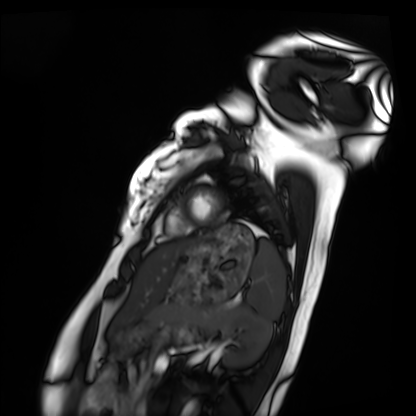
modality: cardiac MRI
subject group: healthy volunteer